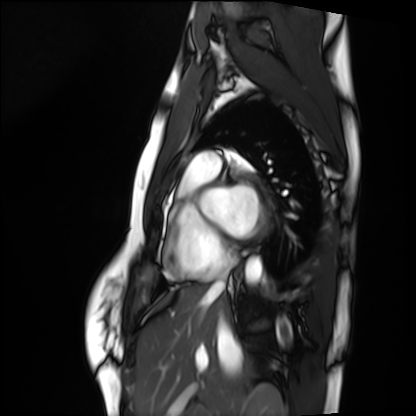
Cardiac MRI. Subject group: healthy volunteer.